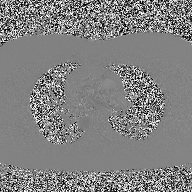
2D phase-contrast cine MRI of the ascending aorta, high-resolution GRAPPA acquisition.